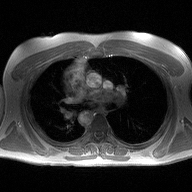
modality=2D phase-contrast cine MRI of the ascending aorta